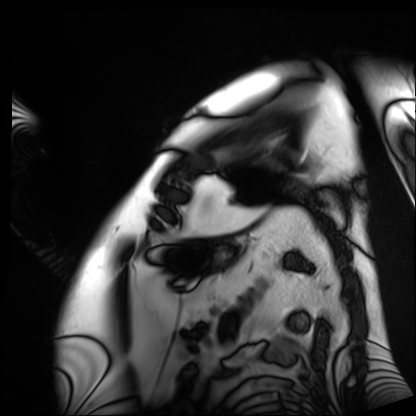
- modality — cardiac MRI
- subject group — patient